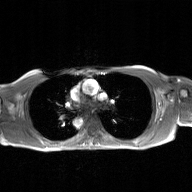
modality: 2D phase-contrast cine MRI of the ascending aorta, GAN super-resolution reconstruction.